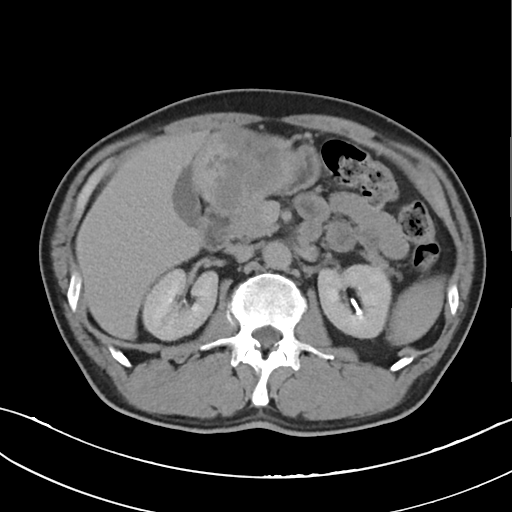
Q: What kind of scan is this?
A: Multiphase abdominal CT, liver, delayed phase.